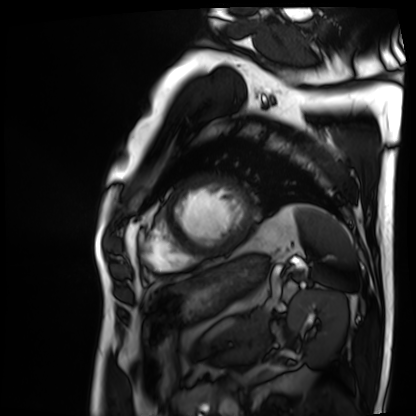
  modality: cardiac MRI
  cohort: patient